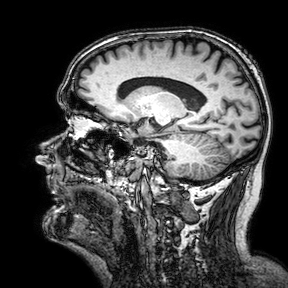
{
  "modality": {
    "type": "brain MRI",
    "field_strength": "3T"
  },
  "series": "3D T1-weighted turbo field echo with SENSE",
  "study_topic": "ring-enhancing brain masses"
}